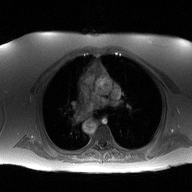
modality = 2D phase-contrast cine MRI of the ascending aorta